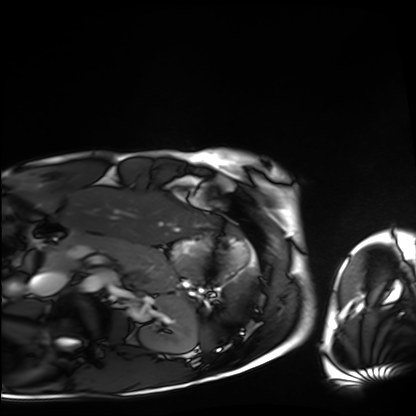
Q: What kind of scan is this?
A: Cardiac MRI.
Subject group: healthy volunteer.